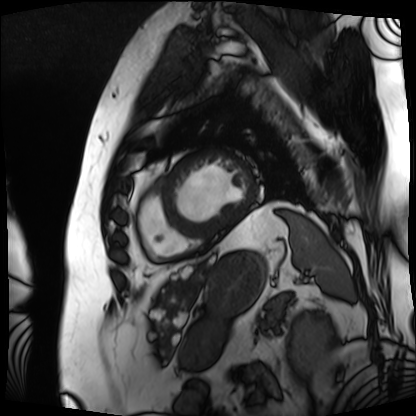
Case summary: Cardiac MRI. Subject group: patient.